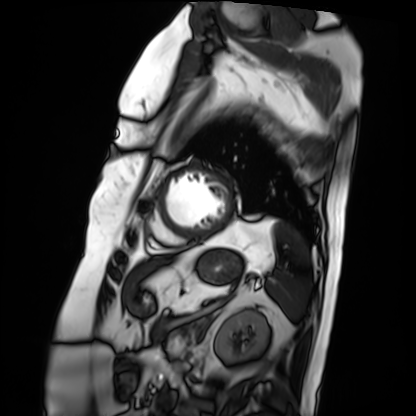
Q: What kind of scan is this?
A: Cardiac MRI.
Subject group: patient.